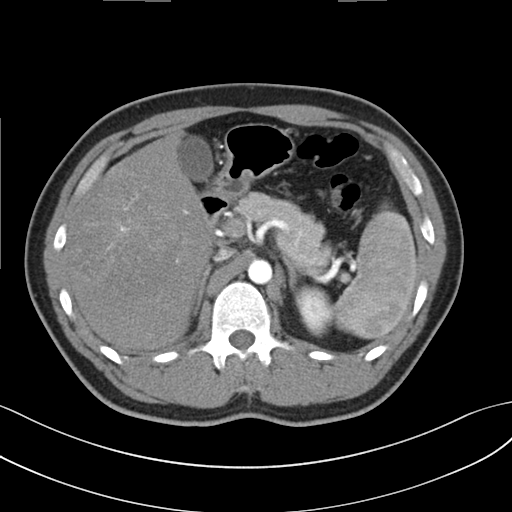
Q: What kind of scan is this?
A: Multiphase abdominal CT, liver, arterial phase.
Q: Patient?
A: Male, age 32.